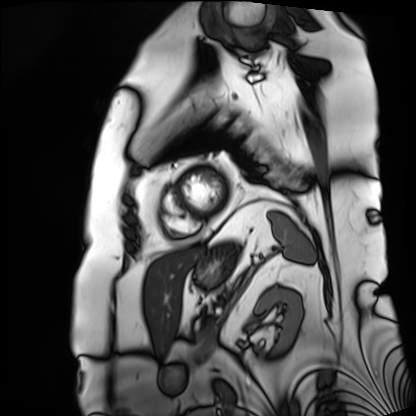
Cardiac MRI.
Subject group: patient.